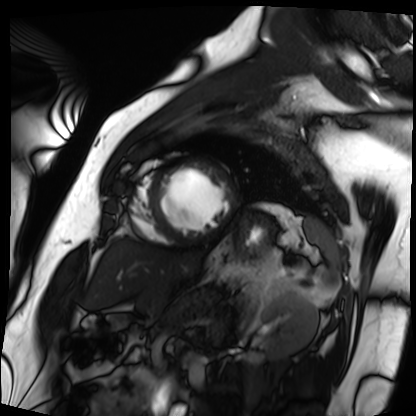
– modality — cardiac MRI
– subject group — patient